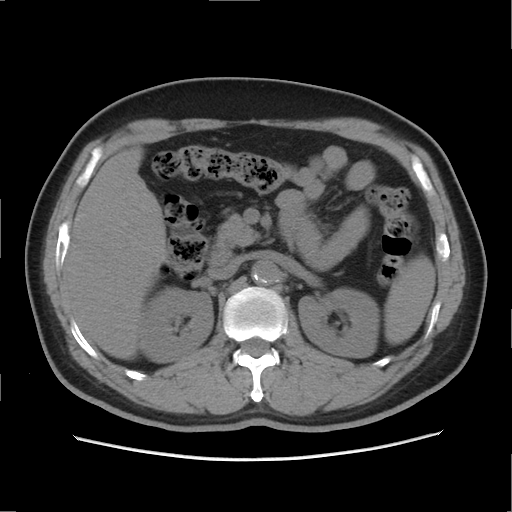
Case summary:
Multiphase abdominal CT, liver, non-contrast phase. Patient: male, age 56. History: cirrhosis, viral hepatitis.